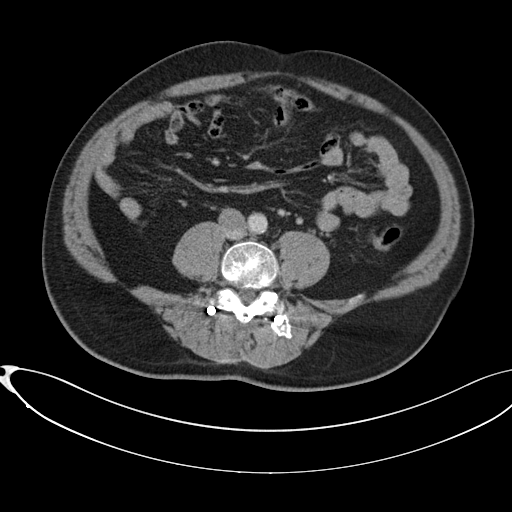
Multiphase abdominal CT, liver, portal venous phase. Patient: male, age 58.